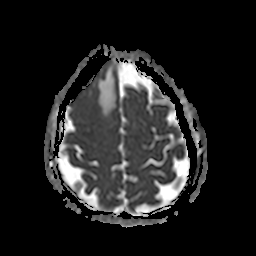
3 Tesla brain MRI. Series: apparent diffusion coefficient (ADC) map. Study: ring-enhancing brain masses.